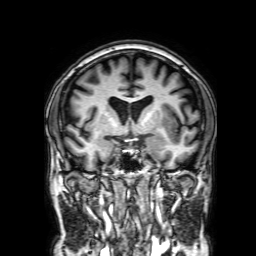
modality = 3 Tesla brain MRI
series = 3D T1-weighted with SENSE
study = ring-enhancing brain masses